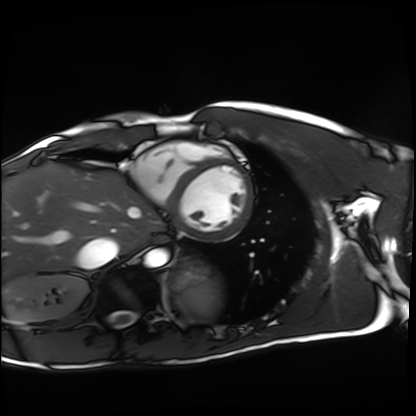
Clinical context: Cardiac MRI. Subject group: healthy volunteer.